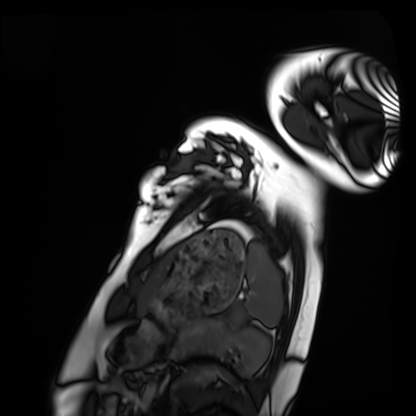
* modality: cardiac MRI
* subject group: healthy volunteer